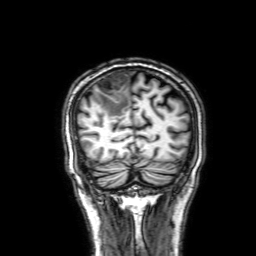
3 Tesla brain MRI. Series: 3D T1-weighted with SENSE. Study: ring-enhancing brain masses.